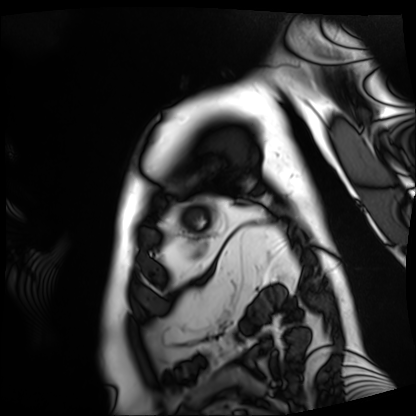
Cardiac MRI.
Subject group: patient.